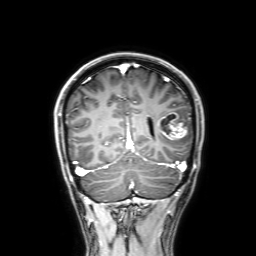
Summary:
3 Tesla brain MRI. Series: 3D T1-weighted with SENSE. Study: ring-enhancing brain masses.